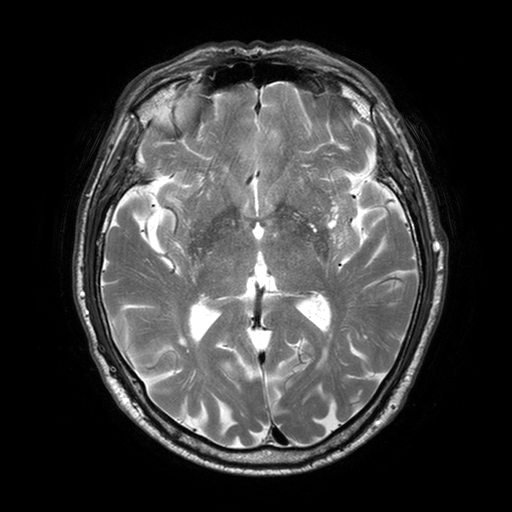
3 Tesla brain MRI. Series: T2-weighted turbo spin echo with SENSE. Study: ring-enhancing brain masses.